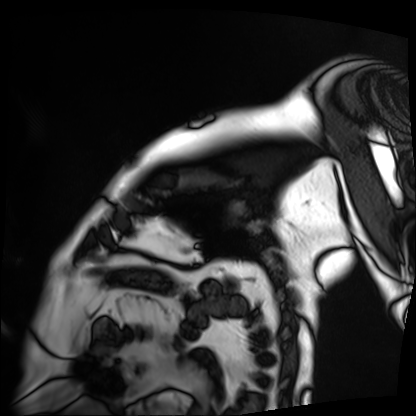
Summary: Cardiac MRI. Subject group: patient.